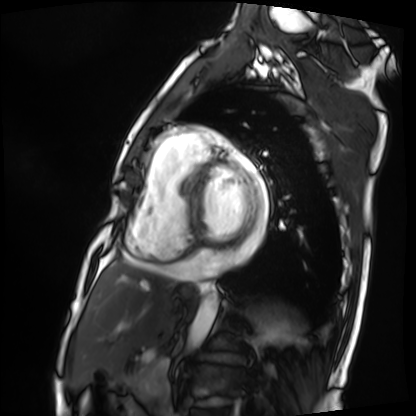
Summary:
Cardiac MRI. Subject group: patient.